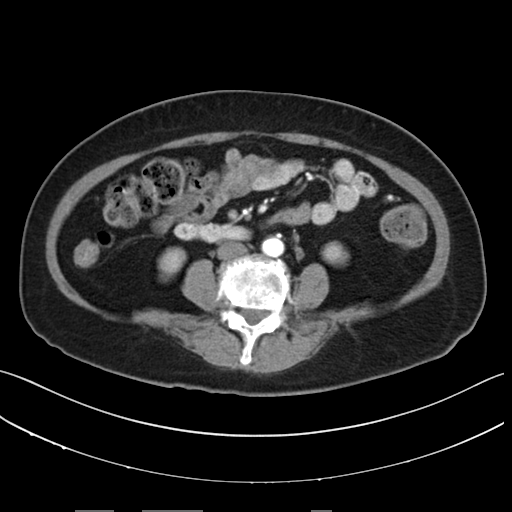
<scan>
  <modality>
    <type>multiphase abdominal CT</type>
    <region>liver</region>
    <phase>arterial</phase>
  </modality>
  <patient>
    <sex>female</sex>
    <age>67</age>
  </patient>
  <history>prior chemotherapy</history>
</scan>